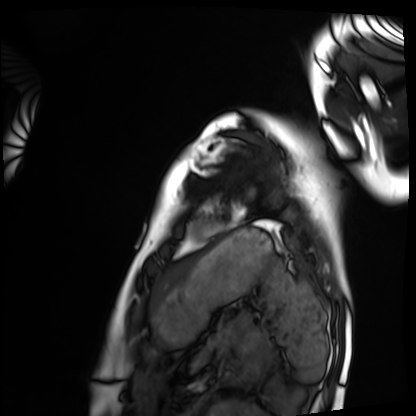
modality: cardiac MRI, subject group: healthy volunteer.